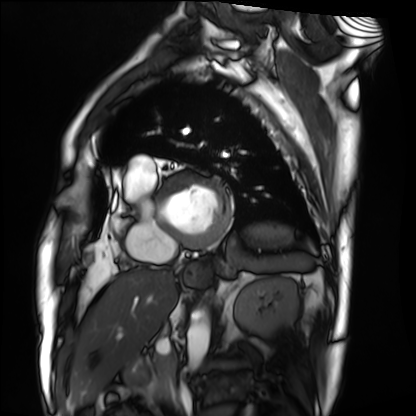
modality: cardiac MRI | subject group: patient.